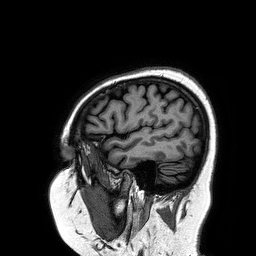
Summary: 3 Tesla brain MRI. Series: 3D T1-weighted turbo field echo. Study: ring-enhancing brain masses.